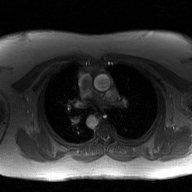
2D phase-contrast cine MRI of the ascending aorta, GAN super-resolution reconstruction.